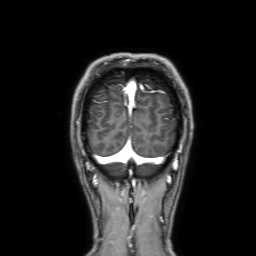
3 Tesla brain MRI. Series: 3D T1-weighted with SENSE. Study: ring-enhancing brain masses.